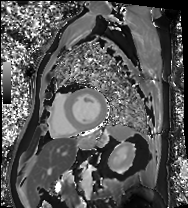
- modality · cardiac MRI
- subject group · patient